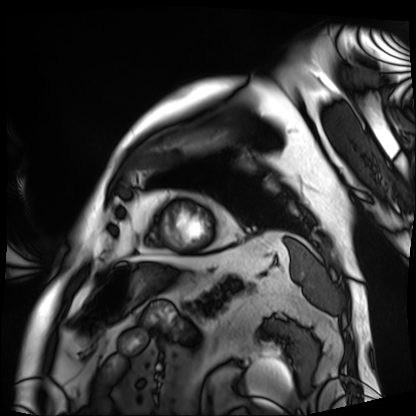
modality — cardiac MRI
subject group — patient